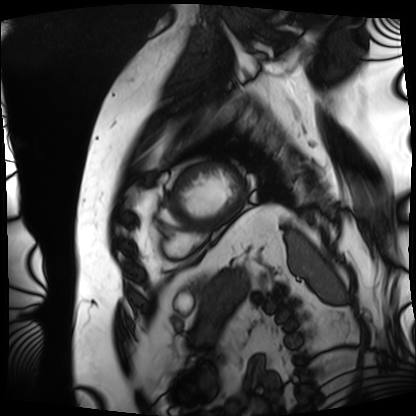
Q: What kind of scan is this?
A: Cardiac MRI.
Subject group: patient.